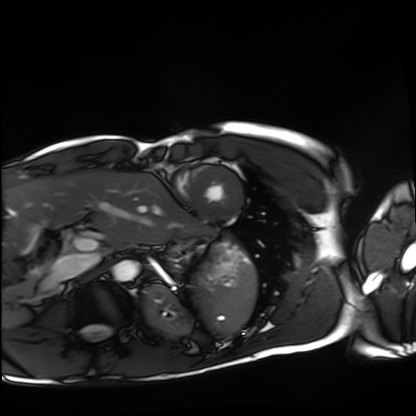
Cardiac MRI.
Subject group: healthy volunteer.